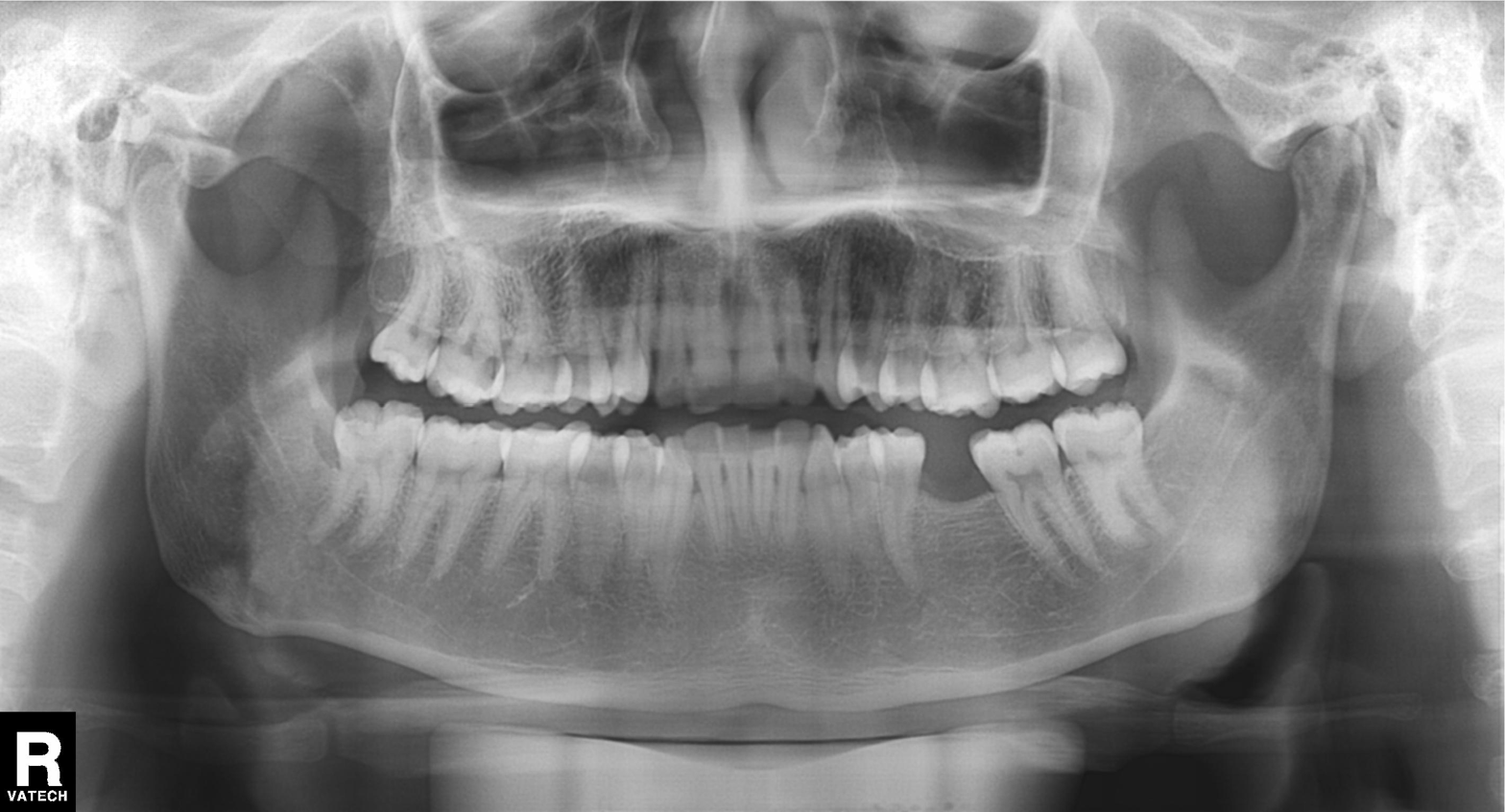
Panoramic dental radiograph (orthopantomogram). Finding: dental caries (cavities).